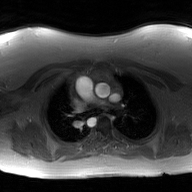
2D phase-contrast cine MRI of the ascending aorta, GAN super-resolution reconstruction.